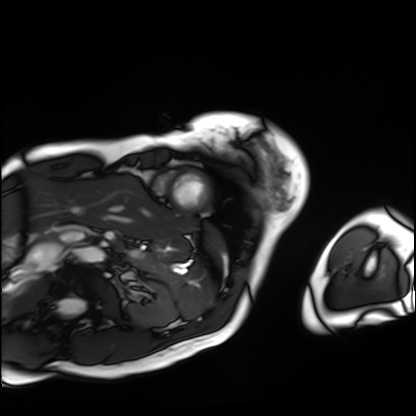
Cardiac MRI. Subject group: patient.